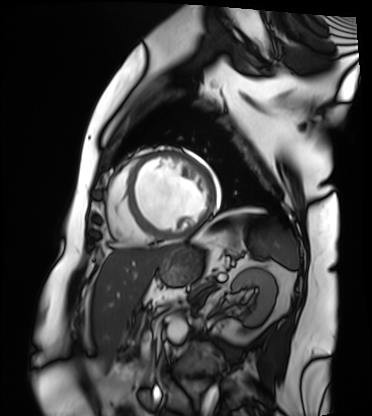
{
  "modality": "cardiac MRI",
  "cohort": "patient"
}